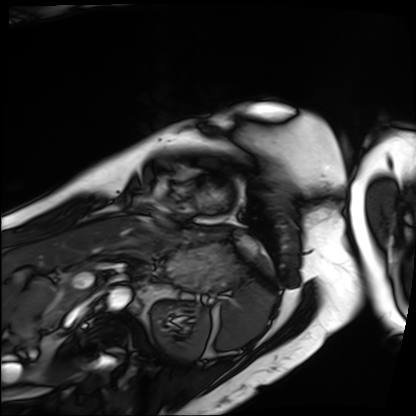
Summary:
Cardiac MRI. Subject group: patient.